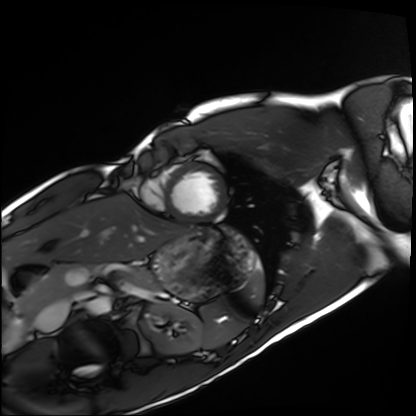
Case:
– modality — cardiac MRI
– subject group — healthy volunteer